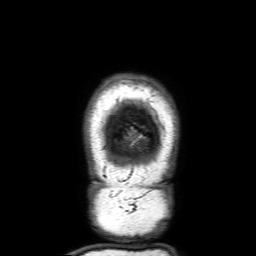
  modality:
    type: brain MRI
    field_strength: 3T
  series: 3D T1-weighted with SENSE
  study_topic: ring-enhancing brain masses